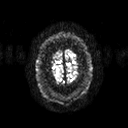
modality:
  type: brain MRI
  field_strength: 3T
series: diffusion tensor imaging (medium iso)
study_topic: ring-enhancing brain masses